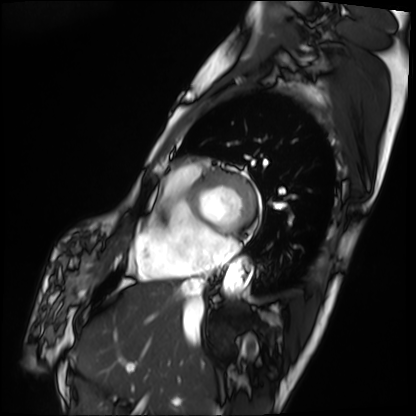
Case summary: Cardiac MRI. Subject group: patient.